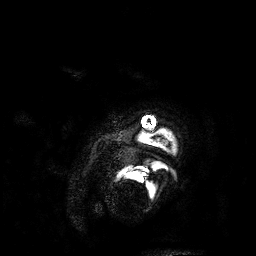
3 Tesla brain MRI.
Series: 3D T1-weighted.
Study: ring-enhancing brain masses.